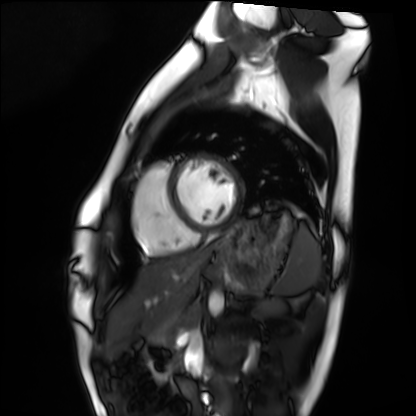
{"modality": "cardiac MRI", "cohort": "healthy volunteer"}